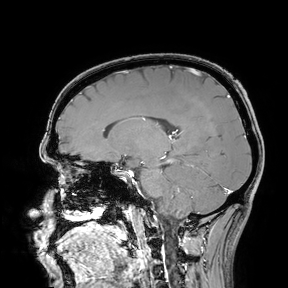
3 Tesla brain MRI. Study: ring-enhancing brain masses.